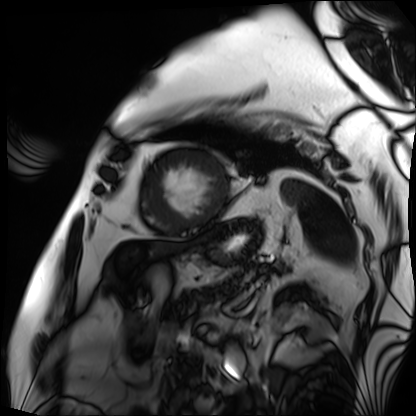
Q: What kind of scan is this?
A: Cardiac MRI.
Subject group: patient.